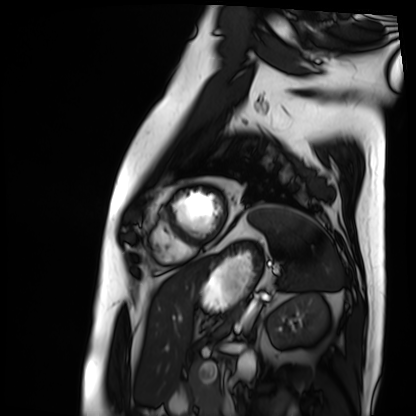
Q: What kind of scan is this?
A: Cardiac MRI.
Subject group: patient.